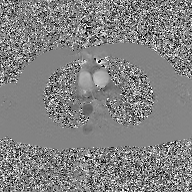
| field | value |
|---|---|
| modality | 2D phase-contrast cine MRI of the ascending aorta, GAN super-resolution reconstruction |